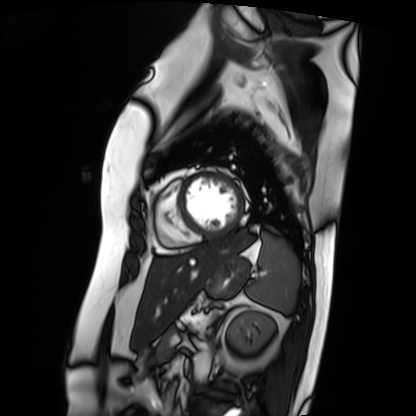
modality=cardiac MRI | subject group=patient.